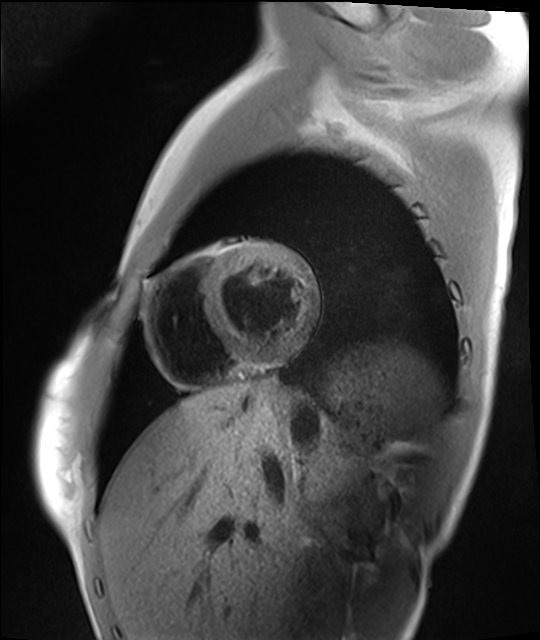
{"modality": "cardiac MRI", "cohort": "healthy volunteer"}